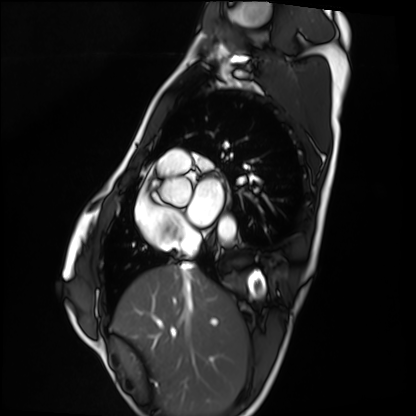
Cardiac MRI.
Subject group: healthy volunteer.